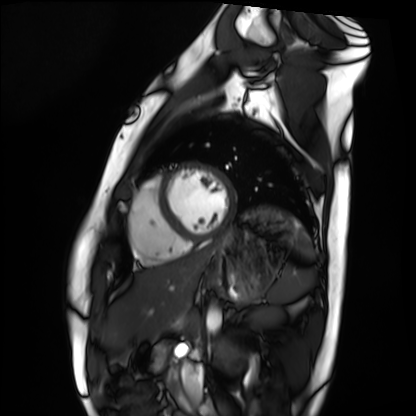
Cardiac MRI.
Subject group: healthy volunteer.